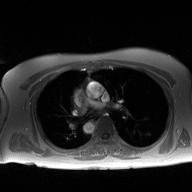
modality=2D phase-contrast cine MRI of the ascending aorta.